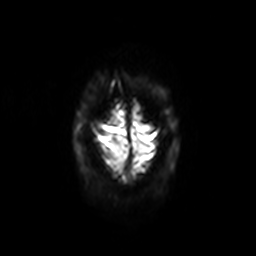
Clinical context:
3 Tesla brain MRI. Series: diffusion-weighted imaging with SENSE (WIP). Study: ring-enhancing brain masses.